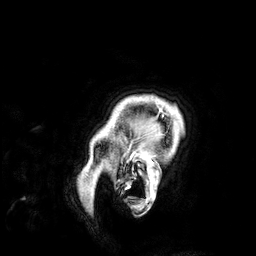
| field | value |
|---|---|
| modality | 3 Tesla brain MRI |
| series | 3D T1-weighted |
| study | ring-enhancing brain masses |